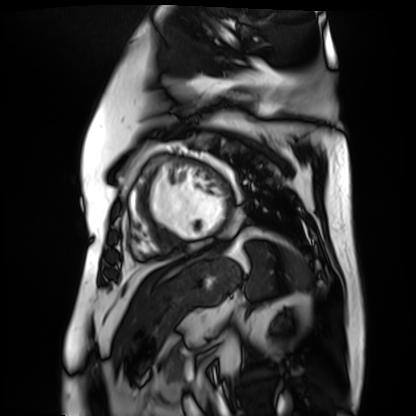
modality: cardiac MR image of the myocardium
subject cohort: cardiac patient